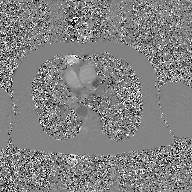
Q: What kind of scan is this?
A: 2D phase-contrast cine MRI of the ascending aorta, GAN super-resolution reconstruction.